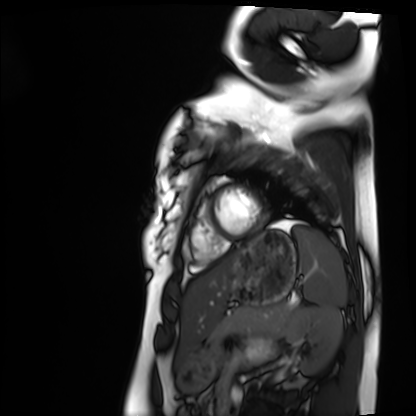
Cardiac MRI. Subject group: healthy volunteer.